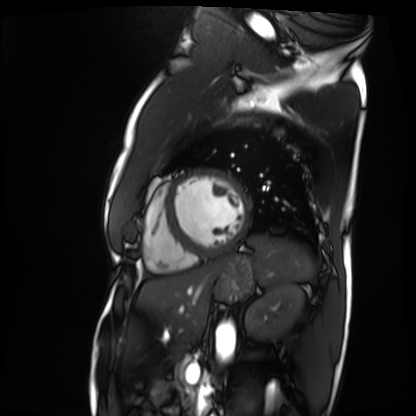
- modality · cardiac MRI
- subject group · patient